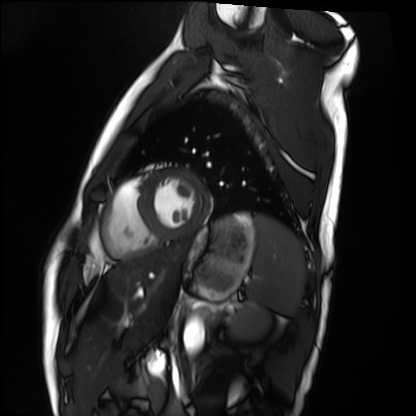
Q: What kind of scan is this?
A: Cardiac MRI.
Subject group: healthy volunteer.